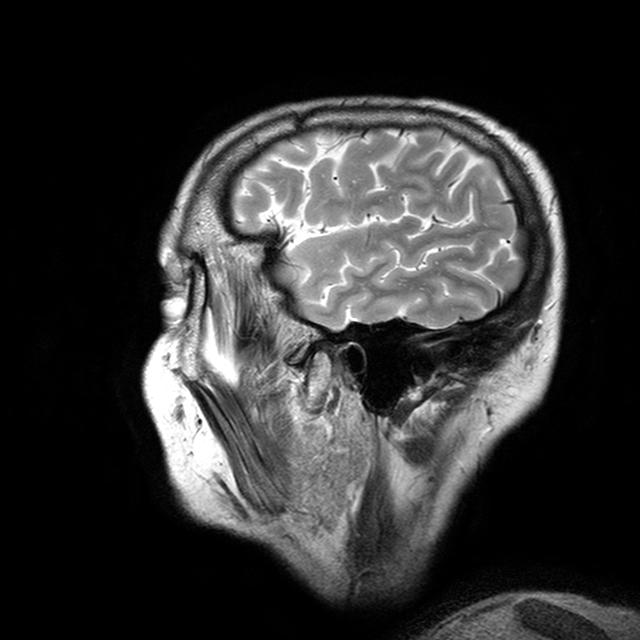
- modality — 3 Tesla brain MRI
- series — T2-weighted turbo spin echo with CLEAR
- study — ring-enhancing brain masses